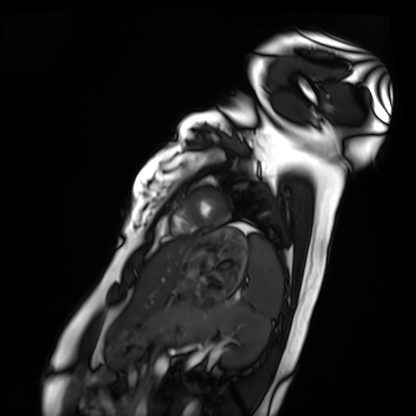
modality: cardiac MRI, subject group: healthy volunteer.